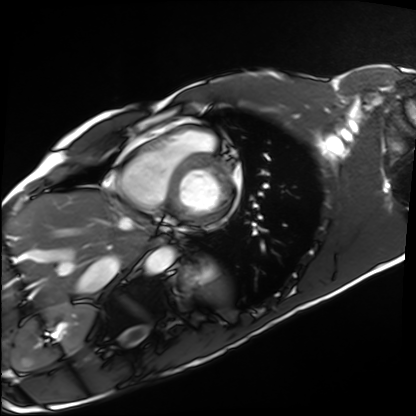
<record>
  <modality>cardiac MRI</modality>
  <cohort>healthy volunteer</cohort>
</record>